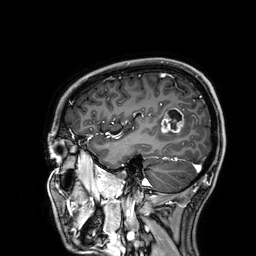
3 Tesla brain MRI. Series: 3D T1-weighted. Study: ring-enhancing brain masses.